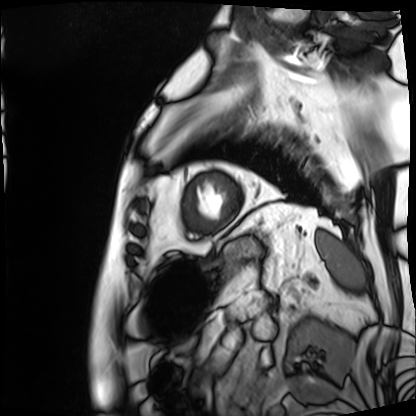
Cardiac MRI. Subject group: patient.